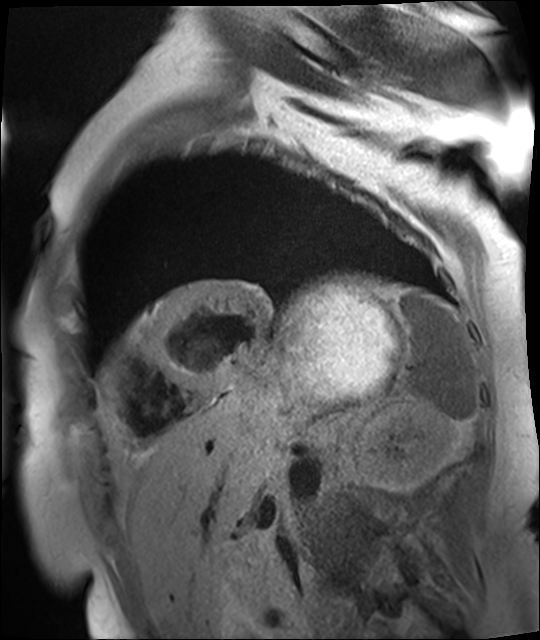
Q: What kind of scan is this?
A: Cardiac MR image of the myocardium.
Subject cohort: cardiac patient.